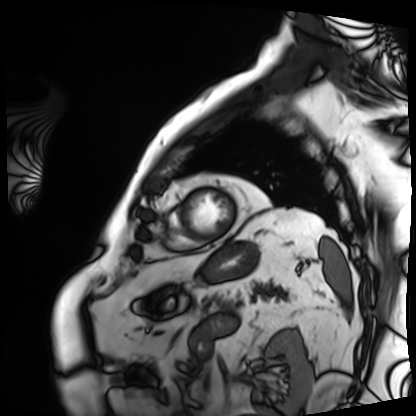
Q: What kind of scan is this?
A: Cardiac MRI.
Subject group: patient.